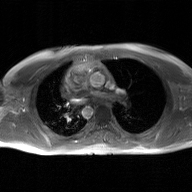
Q: What kind of scan is this?
A: 2D phase-contrast cine MRI of the ascending aorta, GAN super-resolution reconstruction.